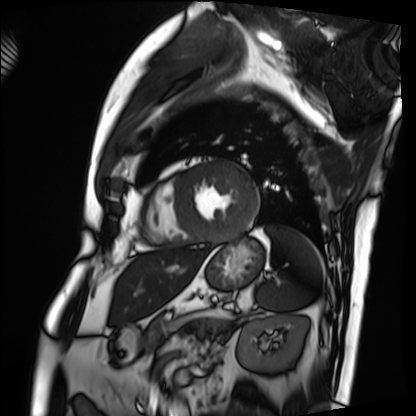
– modality — cardiac MRI
– subject group — patient